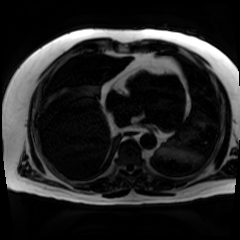
Chemical-shift-encoded cardiac MRI.